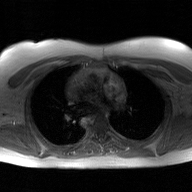
modality: 2D phase-contrast cine MRI of the ascending aorta, GAN super-resolution reconstruction.